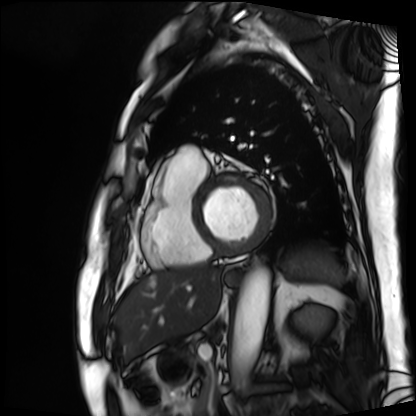
Q: What kind of scan is this?
A: Cardiac MRI.
Subject group: patient.